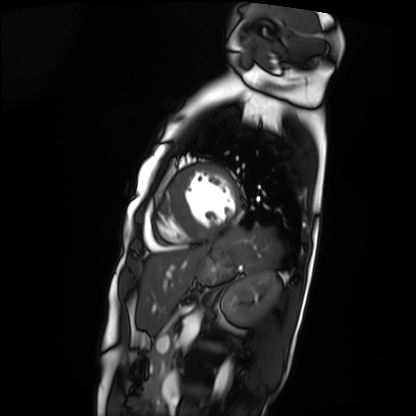
Case summary: Cardiac MRI. Subject group: patient.